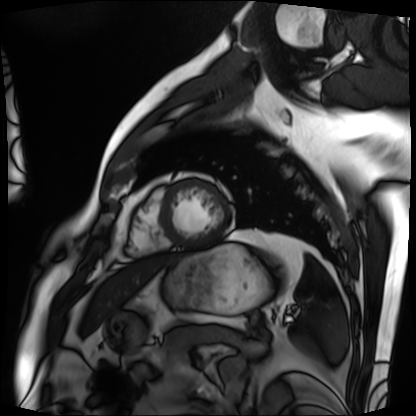
Cardiac MRI. Subject group: patient.